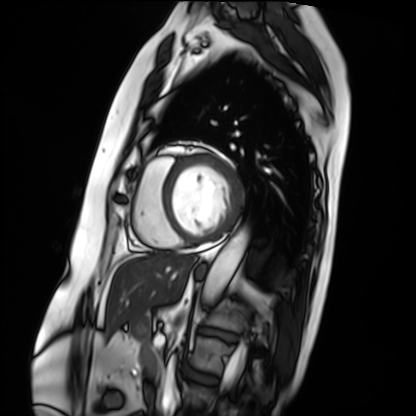
* modality · cardiac MRI
* subject group · patient